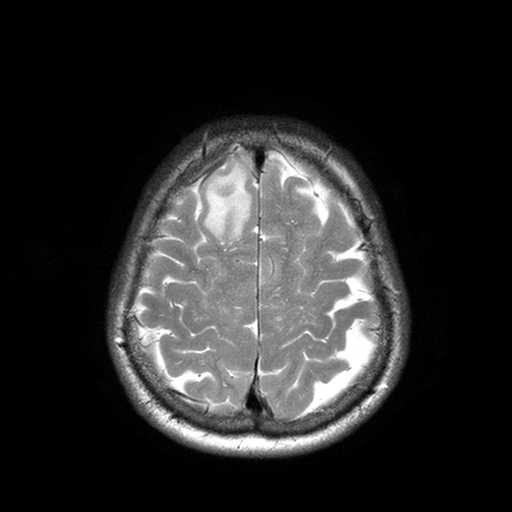
3 Tesla brain MRI.
Series: T2-weighted turbo spin echo with SENSE.
Study: ring-enhancing brain masses.